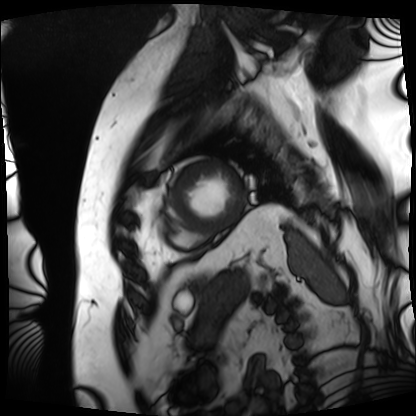
modality = cardiac MRI
subject group = patient